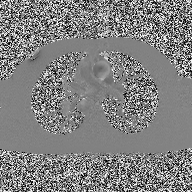
<scan>
<modality>
  <type>2D phase-contrast cine MRI</type>
  <region>ascending aorta</region>
  <reconstruction>high-resolution GRAPPA acquisition</reconstruction>
</modality>
</scan>